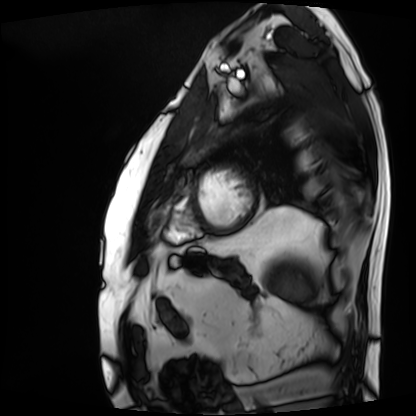
<record>
  <modality>cardiac MRI</modality>
  <cohort>patient</cohort>
</record>